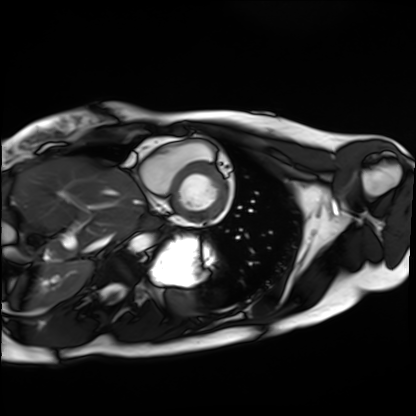
Cardiac MRI.
Subject group: healthy volunteer.